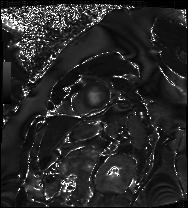
Q: What kind of scan is this?
A: Cardiac MRI.
Subject group: patient.